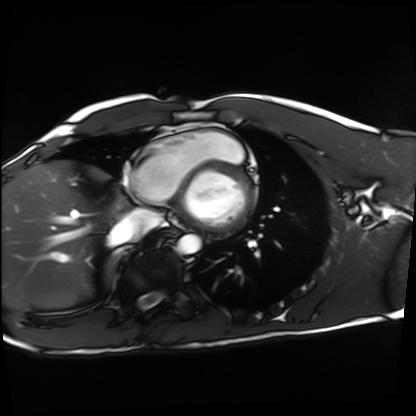
Cardiac MRI. Subject group: healthy volunteer.